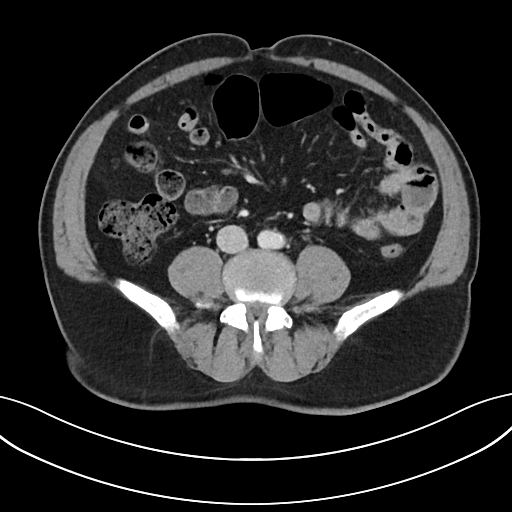
modality — multiphase abdominal CT, liver, portal venous phase; patient — male, age 71; history — viral hepatitis.